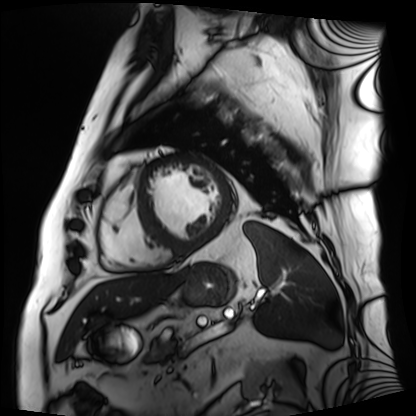
Cardiac MRI.
Subject group: patient.